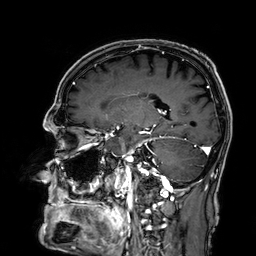
Case summary:
3 Tesla brain MRI. Series: 3D T1-weighted. Study: ring-enhancing brain masses.